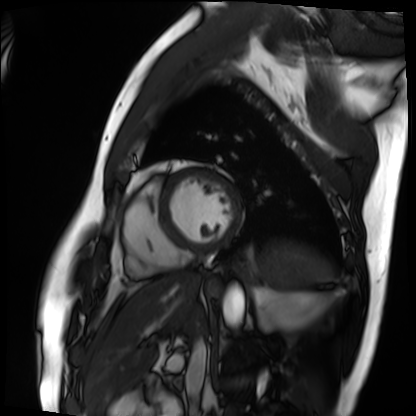
modality=cardiac MRI; subject group=patient.